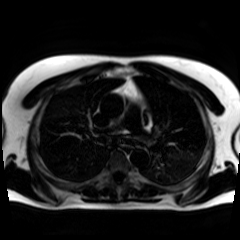
• modality · chemical-shift-encoded cardiac MRI